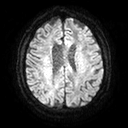
3 Tesla brain MRI. Series: diffusion tensor imaging (medium iso). Study: ring-enhancing brain masses.